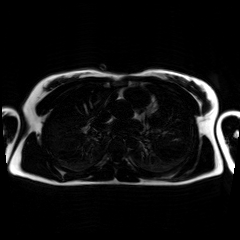
Chemical-shift-encoded cardiac MRI.